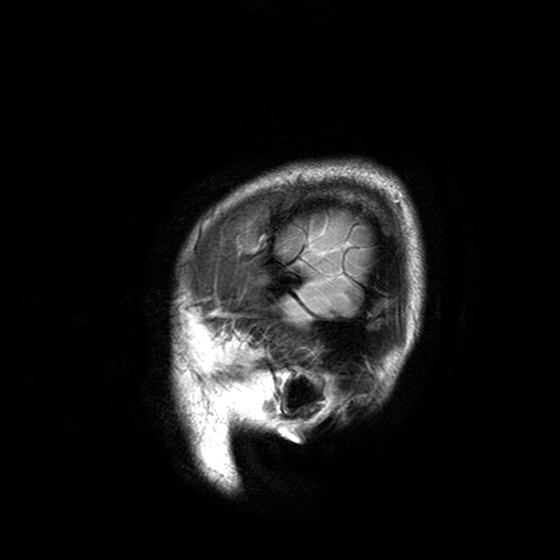
modality=3 Tesla brain MRI | series=T2-weighted turbo spin echo with SENSE | study=ring-enhancing brain masses.